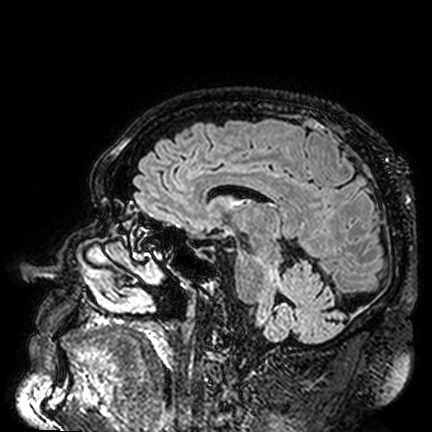
• modality · 3 Tesla brain MRI
• series · FLAIR VISTA
• study · ring-enhancing brain masses